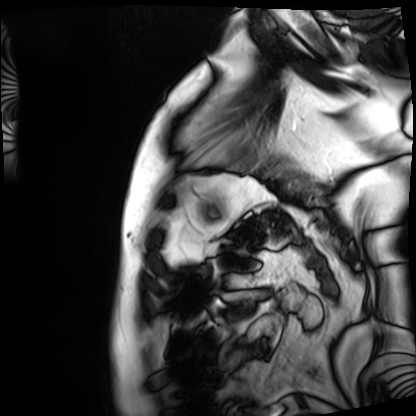
Cardiac MRI.
Subject group: patient.